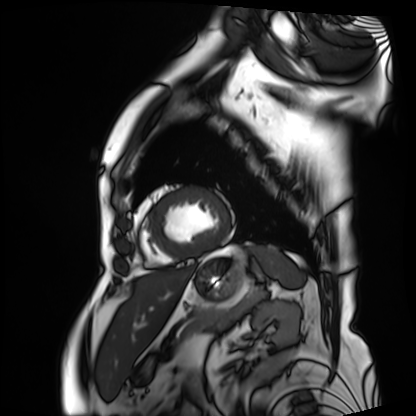
<case>
<modality>cardiac MRI</modality>
<cohort>patient</cohort>
</case>